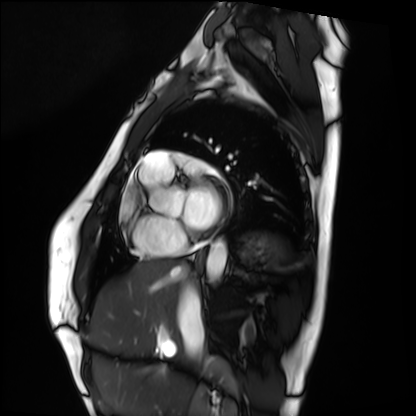
modality = cardiac MRI, subject group = healthy volunteer.